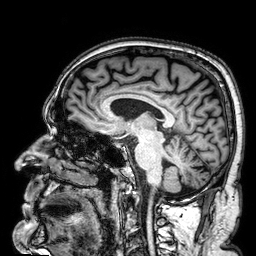
modality:
  type: brain MRI
  field_strength: 3T
series: 3D T1-weighted
study_topic: ring-enhancing brain masses